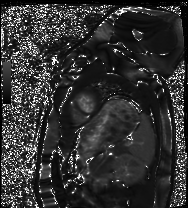
Clinical context: Cardiac MRI. Subject group: healthy volunteer.